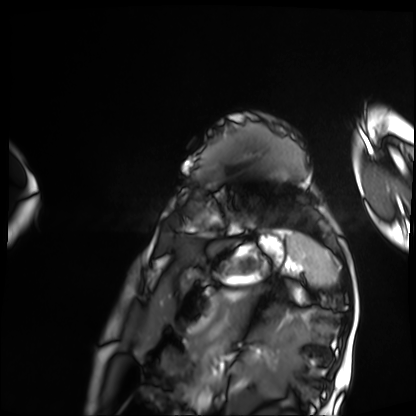
{"modality": "cardiac MRI", "cohort": "patient"}